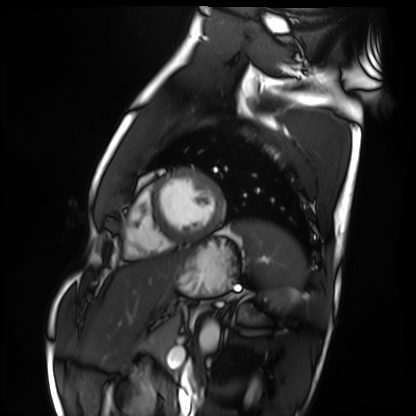
Summary:
Cardiac MRI. Subject group: healthy volunteer.